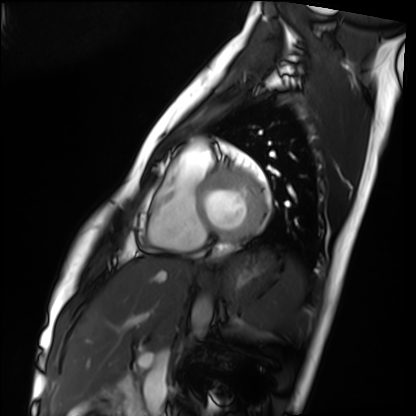
<study>
  <modality>cardiac MRI</modality>
  <cohort>healthy volunteer</cohort>
</study>